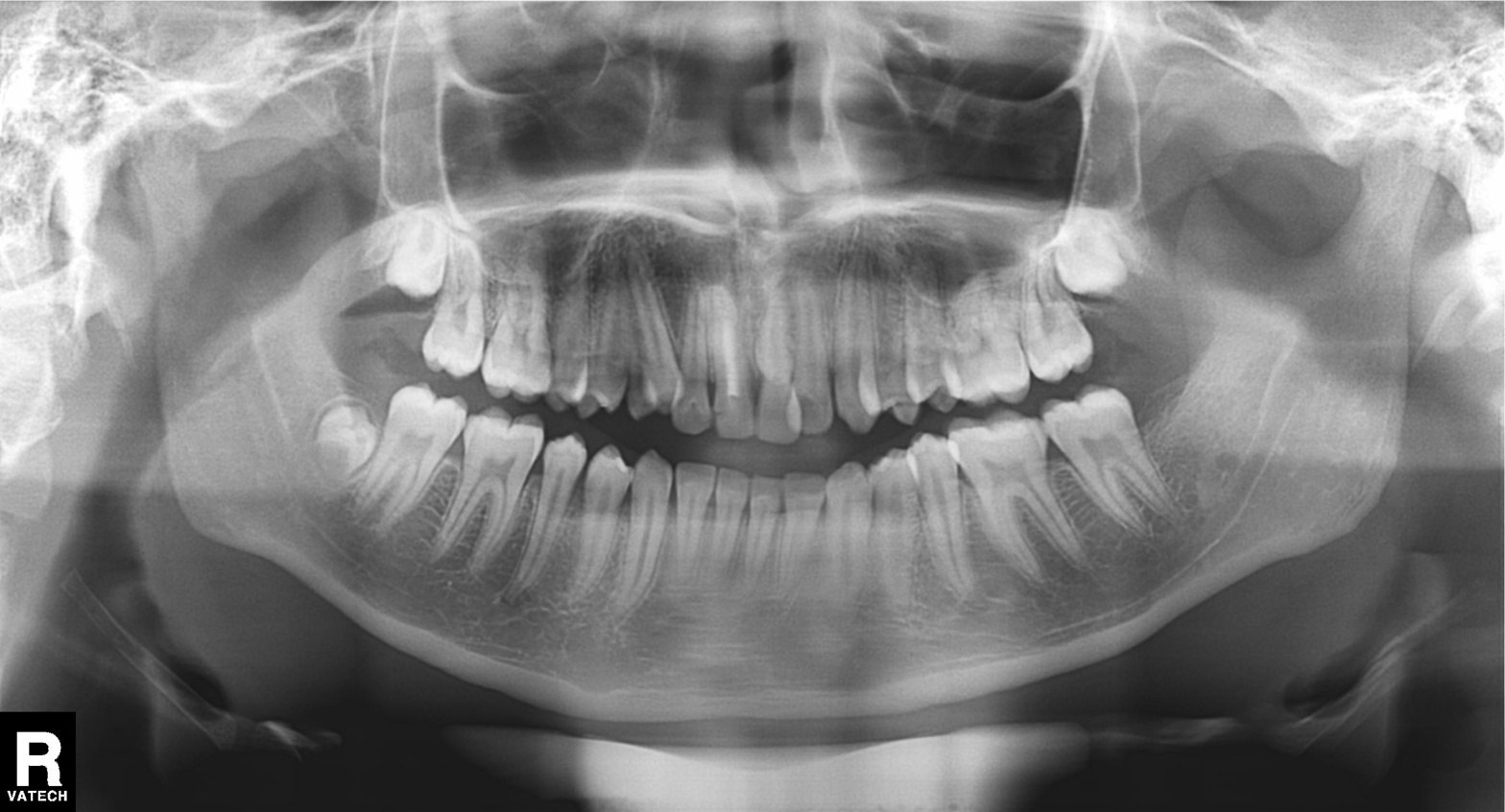
Q: What kind of scan is this?
A: Panoramic dental radiograph (orthopantomogram).
Q: What is the radiographic finding?
A: Alveolar bone loss.